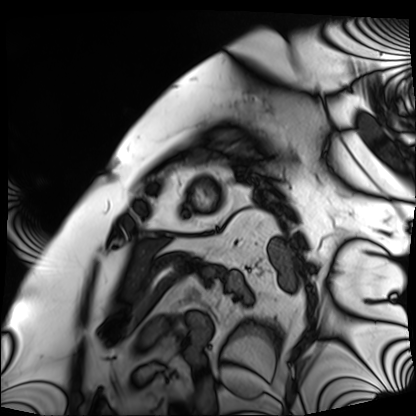
modality — cardiac MRI | subject group — patient.